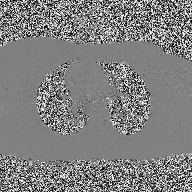
Case summary:
2D phase-contrast cine MRI of the ascending aorta, high-resolution GRAPPA acquisition.